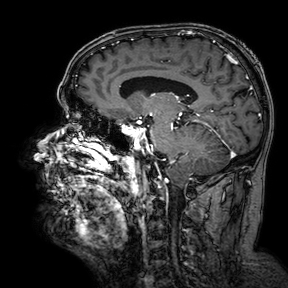
{
  "modality": {
    "type": "brain MRI",
    "field_strength": "3T"
  },
  "series": "3D T1-weighted turbo field echo with SENSE",
  "study_topic": "ring-enhancing brain masses"
}